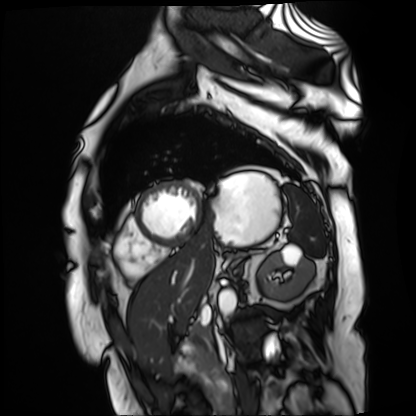
Cardiac MR image of the myocardium. Subject cohort: cardiac patient.